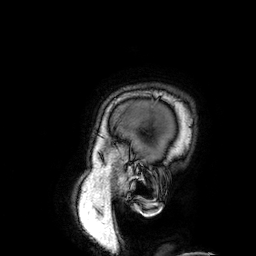
– modality: 3 Tesla brain MRI
– series: 3D T1-weighted
– study: ring-enhancing brain masses